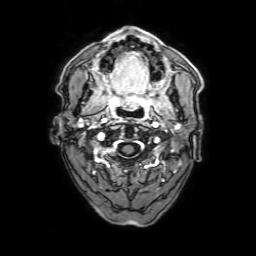
Clinical context:
3 Tesla brain MRI. Series: 3D T1-weighted with SENSE. Study: ring-enhancing brain masses.